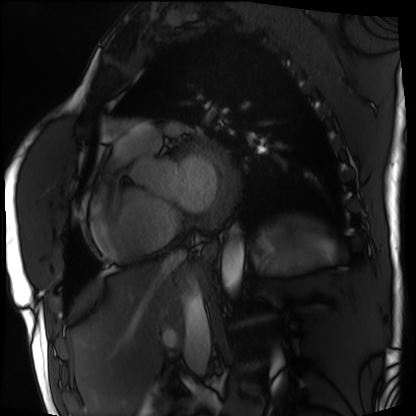
Q: What kind of scan is this?
A: Cardiac MRI.
Subject group: patient.